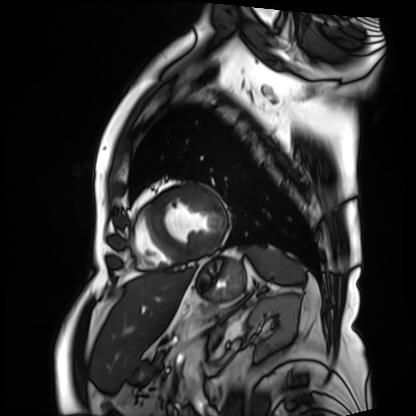
modality — cardiac MRI; subject group — patient.